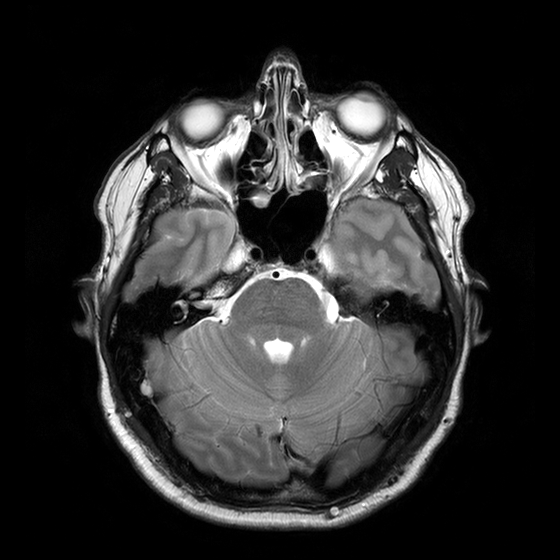
<study>
<modality>
  <type>brain MRI</type>
  <field_strength>3T</field_strength>
</modality>
<series>T2-weighted turbo spin echo with CLEAR</series>
<study_topic>ring-enhancing brain masses</study_topic>
</study>